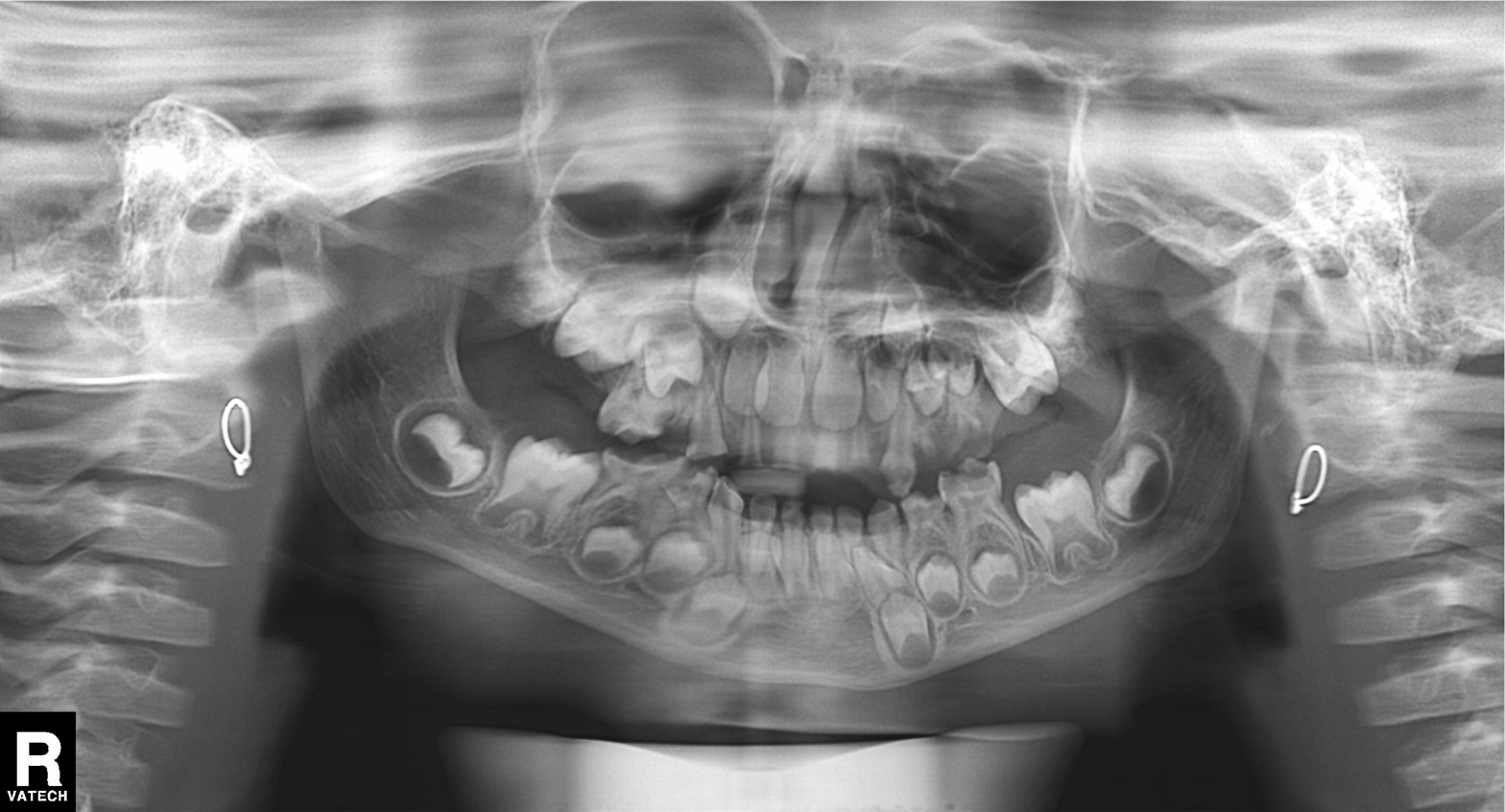
Panoramic dental radiograph (orthopantomogram). Finding: alveolar bone loss.